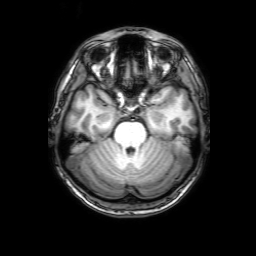
| field | value |
|---|---|
| modality | 3 Tesla brain MRI |
| series | 3D T1-weighted with SENSE |
| study | ring-enhancing brain masses |